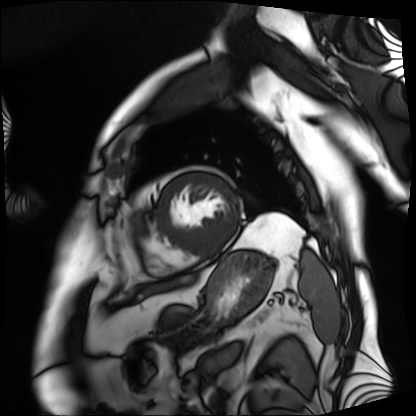
Case summary: Cardiac MRI. Subject group: patient.